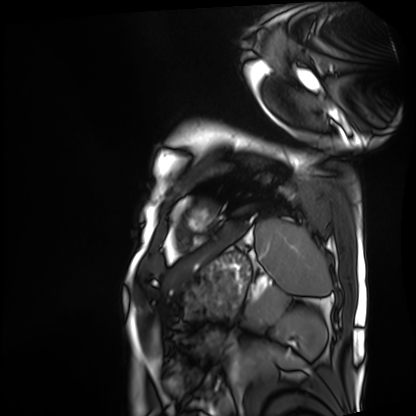
Cardiac MRI.
Subject group: patient.